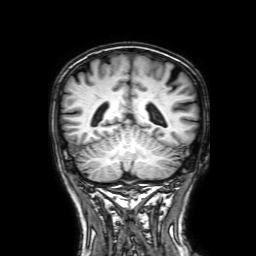
Case:
– modality — 3 Tesla brain MRI
– series — 3D T1-weighted with SENSE
– study — ring-enhancing brain masses